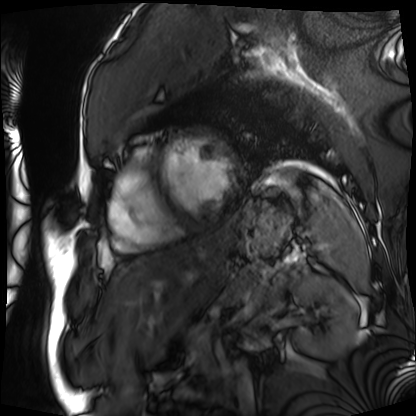
Summary: Cardiac MRI. Subject group: patient.